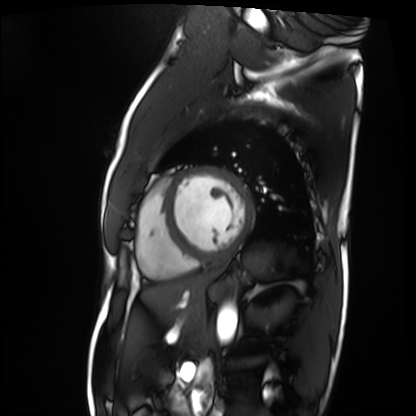
<record>
<modality>cardiac MRI</modality>
<cohort>patient</cohort>
</record>